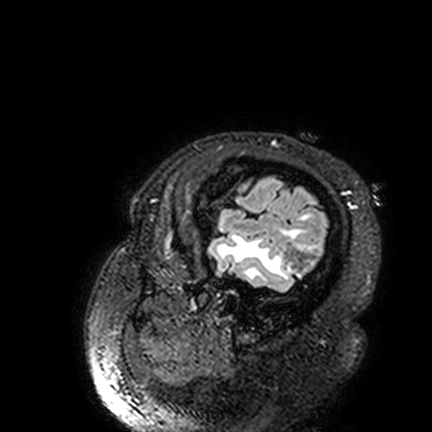
3 Tesla brain MRI. Series: FLAIR VISTA. Study: ring-enhancing brain masses.